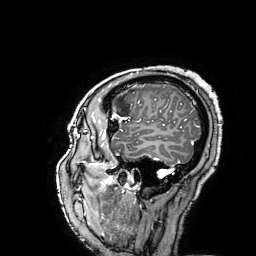
modality=3 Tesla brain MRI
series=3D T1-weighted turbo field echo with SENSE
study=ring-enhancing brain masses